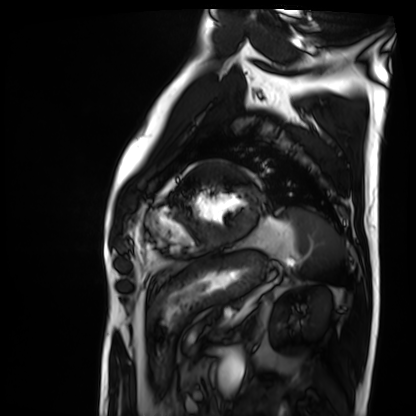
Cardiac MRI. Subject group: patient.